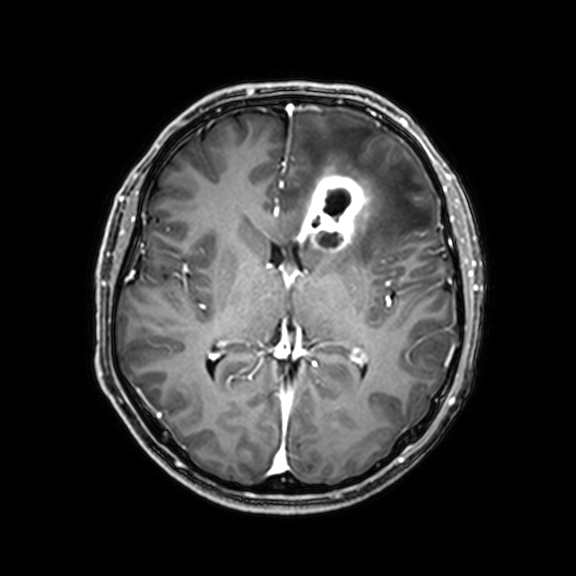
Q: What kind of scan is this?
A: 3 Tesla brain MRI.
Q: Series?
A: 3D T1-weighted with CLEAR.
Study: ring-enhancing brain masses.